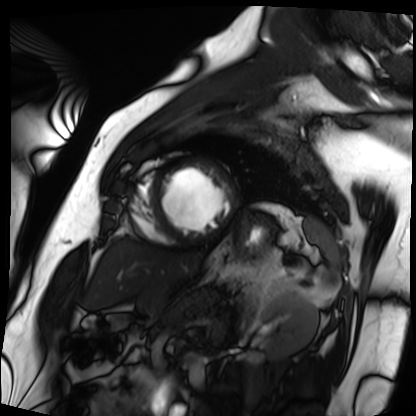
Cardiac MRI.
Subject group: patient.